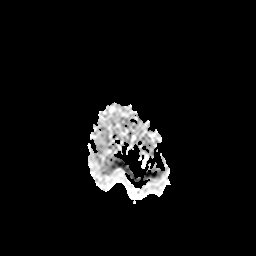
3 Tesla brain MRI. Study: ring-enhancing brain masses.